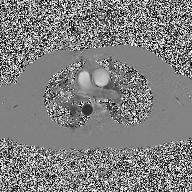
modality — 2D phase-contrast cine MRI of the ascending aorta.